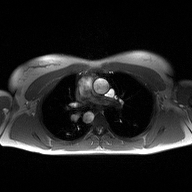
2D phase-contrast cine MRI of the ascending aorta, high-resolution GRAPPA acquisition.